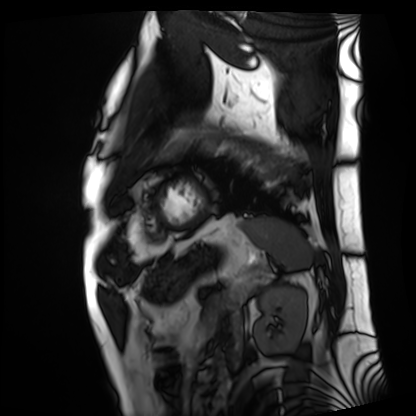
Q: What kind of scan is this?
A: Cardiac MRI.
Subject group: patient.